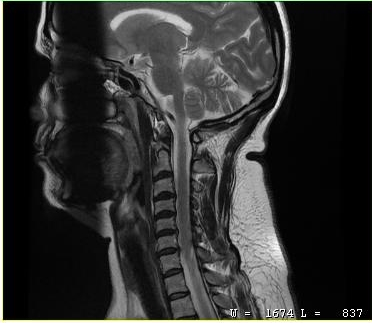
Case:
* modality — MRI of the cervical spine
* study — cervical spondylosis